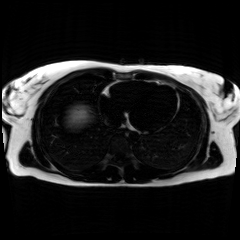
<study>
  <modality>chemical-shift-encoded cardiac MRI</modality>
</study>